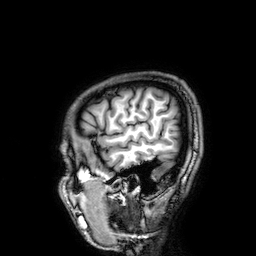
* modality: 3 Tesla brain MRI
* series: 3D T1-weighted
* study: ring-enhancing brain masses